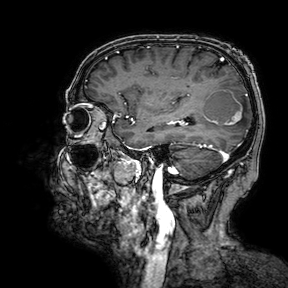
- modality · 3 Tesla brain MRI
- series · 3D T1-weighted turbo field echo with SENSE
- study · ring-enhancing brain masses